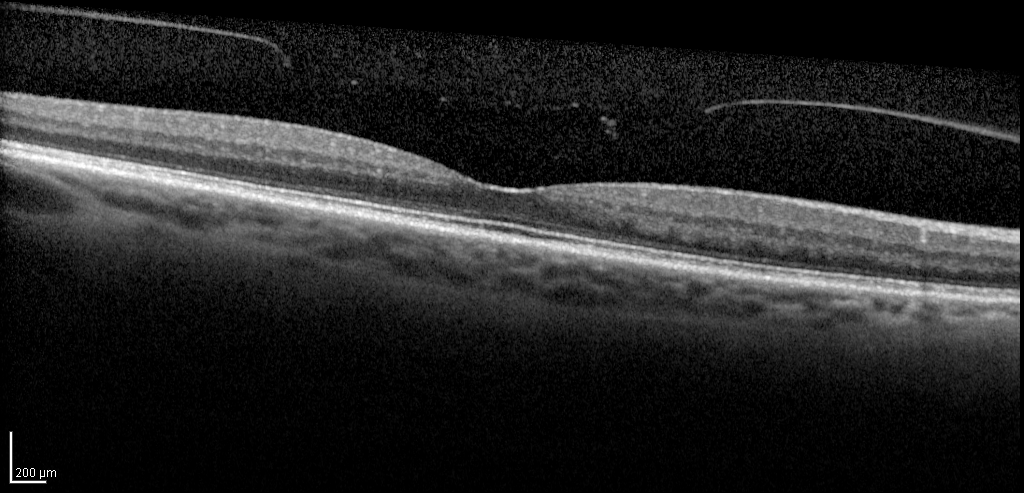
modality=spectral-domain optical coherence tomography (SD-OCT) of the macula; subject=female, age 73, right eye; cohort=diabetic subject.